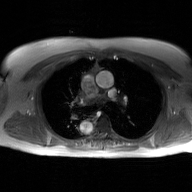
Q: What kind of scan is this?
A: 2D phase-contrast cine MRI of the ascending aorta, GAN super-resolution reconstruction.